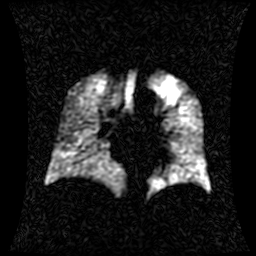
Clinical context: Hyperpolarized 129Xe ventilation MRI of the lungs. SNR level 1 of 8 (the deposit holds this scan as its native image and as seven SNR-degraded versions).